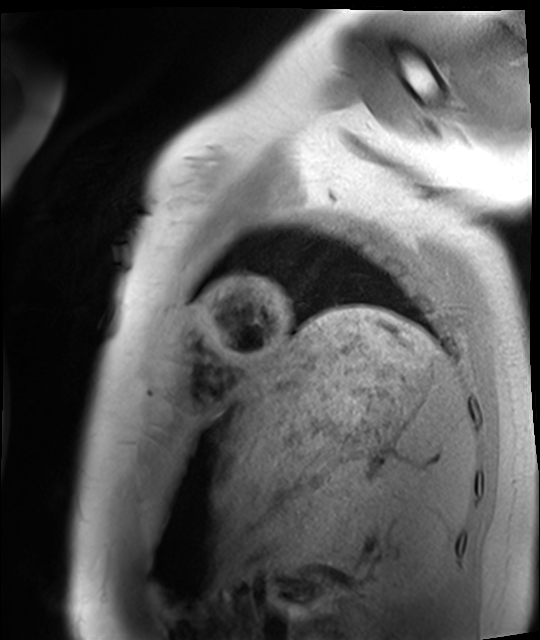
<case>
  <modality>cardiac MRI</modality>
  <cohort>healthy volunteer</cohort>
</case>